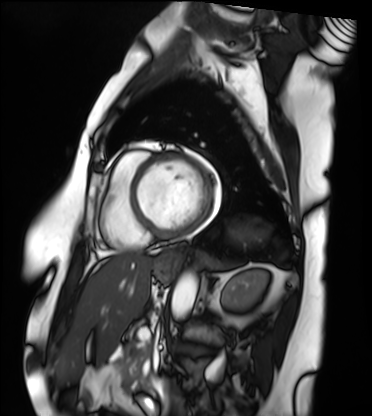
Cardiac MRI. Subject group: patient.